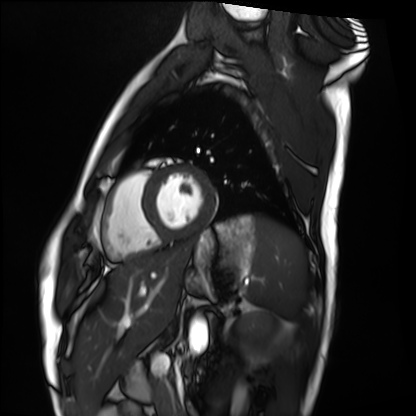
| field | value |
|---|---|
| modality | cardiac MRI |
| subject group | healthy volunteer |